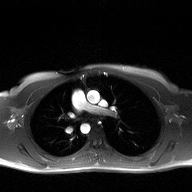
Summary: 2D phase-contrast cine MRI of the ascending aorta, high-resolution GRAPPA acquisition.